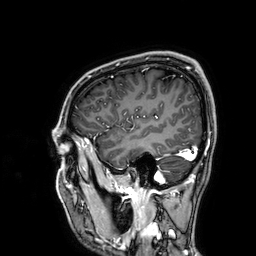
modality:
  type: brain MRI
  field_strength: 3T
series: 3D T1-weighted
study_topic: ring-enhancing brain masses